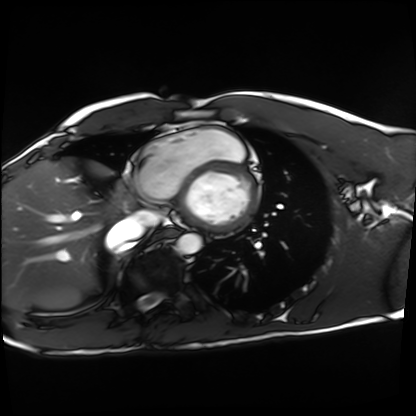
modality: cardiac MRI
cohort: healthy volunteer